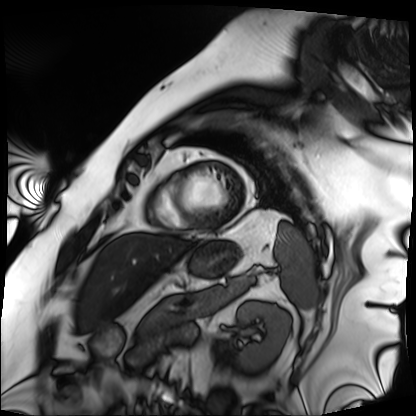
modality: cardiac MRI; subject group: patient.